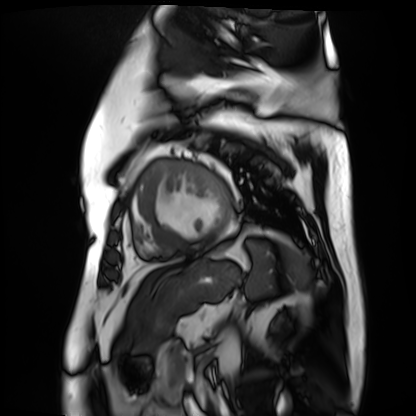
{"modality": "cardiac MR image of the myocardium", "cohort": "cardiac patient"}